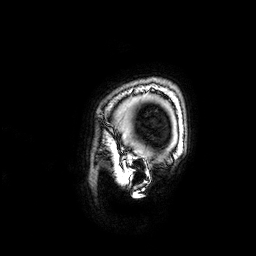
Summary:
3 Tesla brain MRI. Series: 3D T1-weighted. Study: ring-enhancing brain masses.